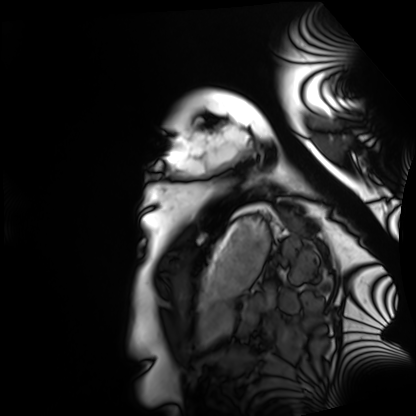
Cardiac MRI. Subject group: healthy volunteer.